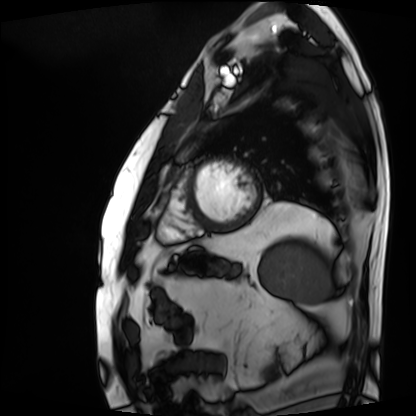
| field | value |
|---|---|
| modality | cardiac MRI |
| subject group | patient |